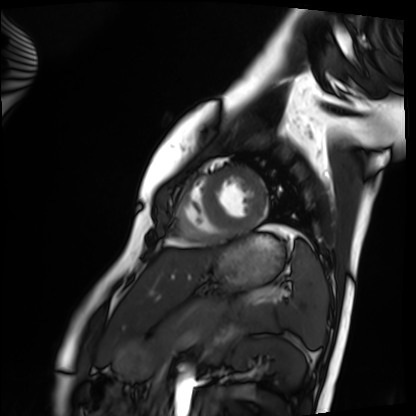
<study>
<modality>cardiac MRI</modality>
<cohort>healthy volunteer</cohort>
</study>